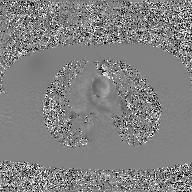
modality:
  type: 2D phase-contrast cine MRI
  region: ascending aorta
  reconstruction: GAN super-resolution reconstruction